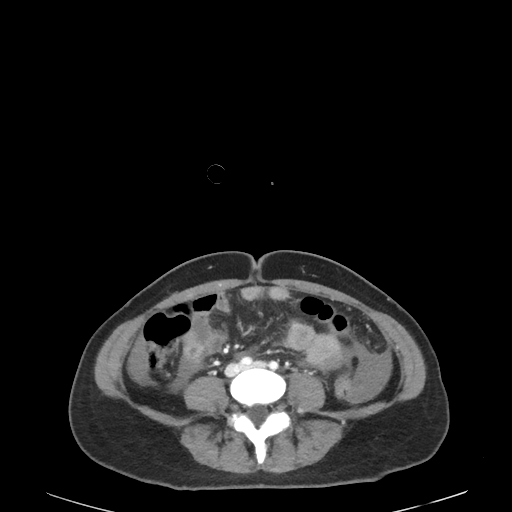
Multiphase abdominal CT, liver, portal venous phase. Patient: female, age 45.